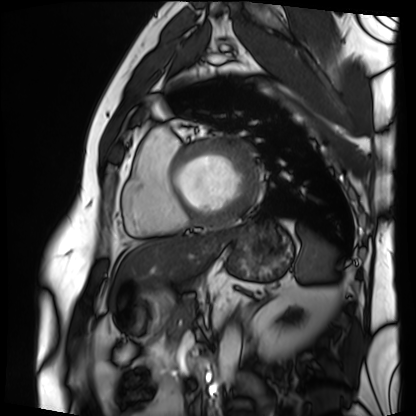
Case:
• modality — cardiac MRI
• subject group — patient